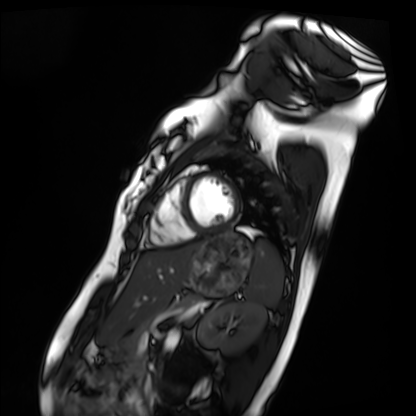
Cardiac MRI. Subject group: healthy volunteer.